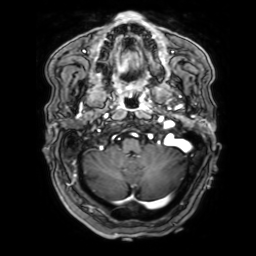
3 Tesla brain MRI.
Series: 3D T1-weighted with SENSE.
Study: ring-enhancing brain masses.